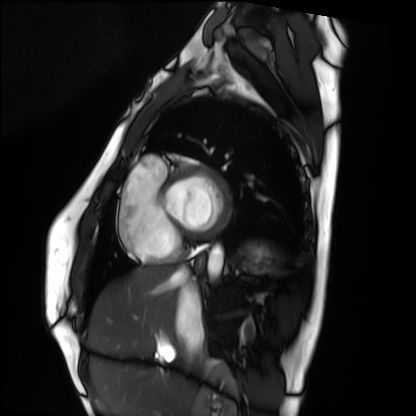
modality: cardiac MRI; subject group: healthy volunteer.